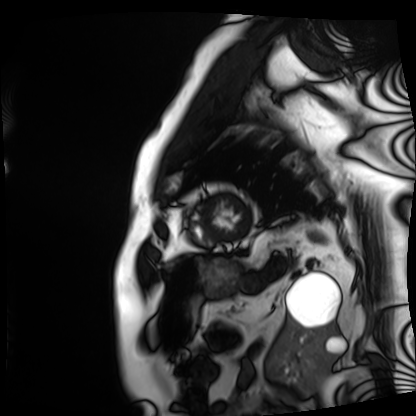
{
  "modality": "cardiac MRI",
  "cohort": "patient"
}